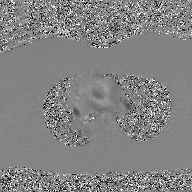
Q: What kind of scan is this?
A: 2D phase-contrast cine MRI of the ascending aorta, GAN super-resolution reconstruction.